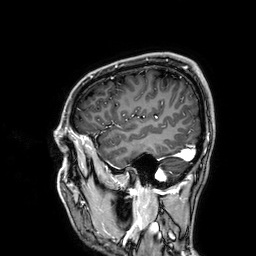
modality = 3 Tesla brain MRI | series = 3D T1-weighted | study = ring-enhancing brain masses.